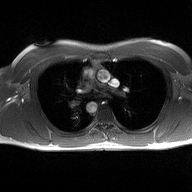
2D phase-contrast cine MRI of the ascending aorta, high-resolution GRAPPA acquisition.